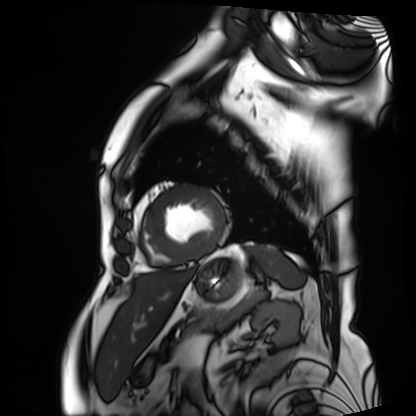
{"modality": "cardiac MRI", "cohort": "patient"}